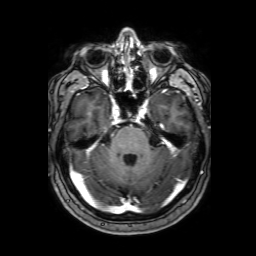
Summary: 3 Tesla brain MRI. Series: 3D T1-weighted with SENSE. Study: ring-enhancing brain masses.